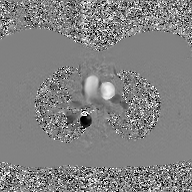
2D phase-contrast cine MRI of the ascending aorta, GAN super-resolution reconstruction.